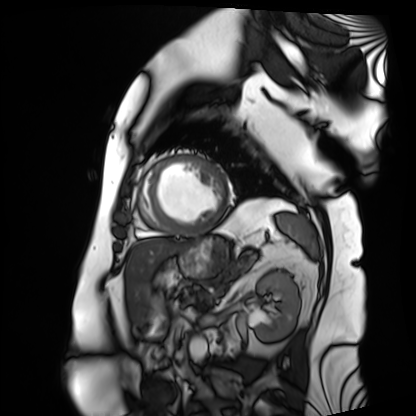
modality = cardiac MRI
subject group = patient